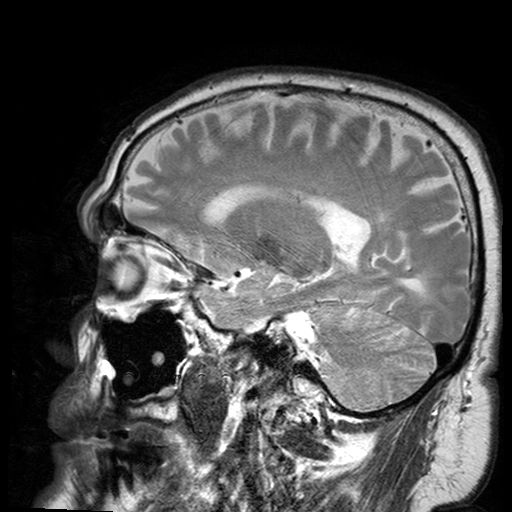
Q: What kind of scan is this?
A: 3 Tesla brain MRI.
Q: Series?
A: T2-weighted turbo spin echo with SENSE.
Study: ring-enhancing brain masses.